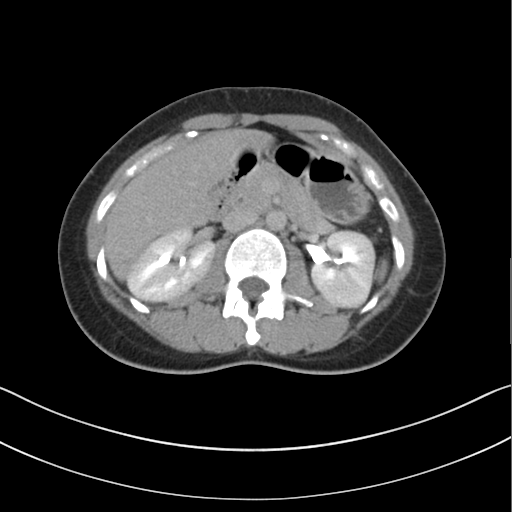
modality = multiphase abdominal CT, liver, delayed phase | patient = female, age 34.